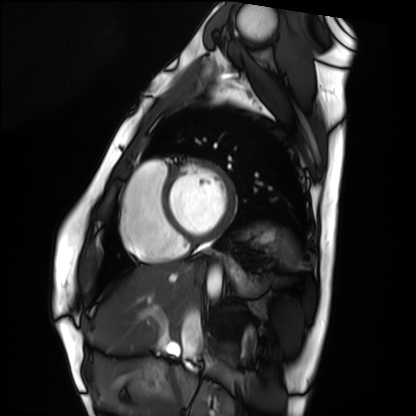
<scan>
  <modality>cardiac MRI</modality>
  <cohort>healthy volunteer</cohort>
</scan>